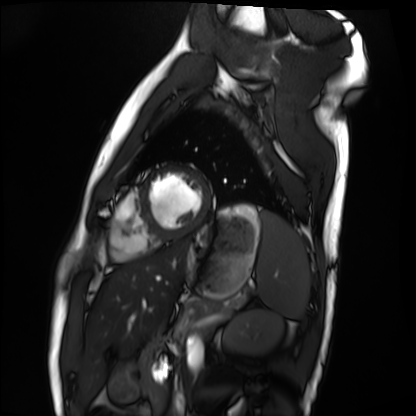
Cardiac MRI.
Subject group: healthy volunteer.